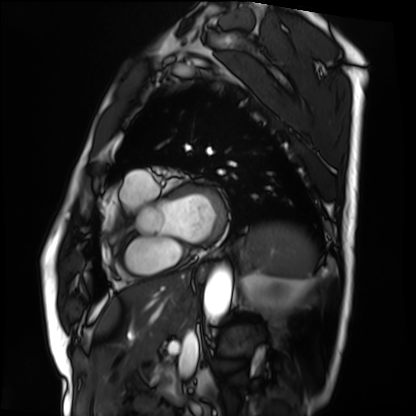
modality: cardiac MRI
cohort: patient